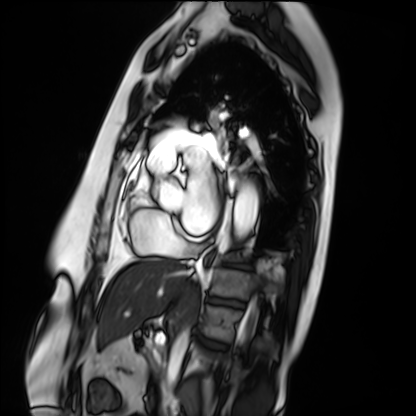
modality: cardiac MRI; subject group: patient.